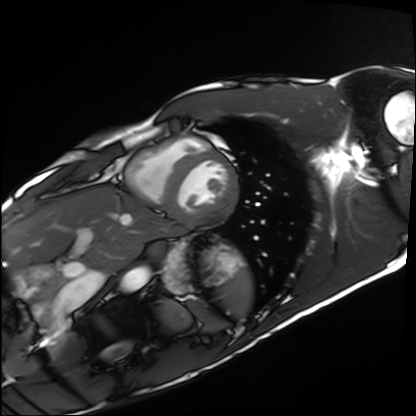
Summary: Cardiac MRI. Subject group: healthy volunteer.